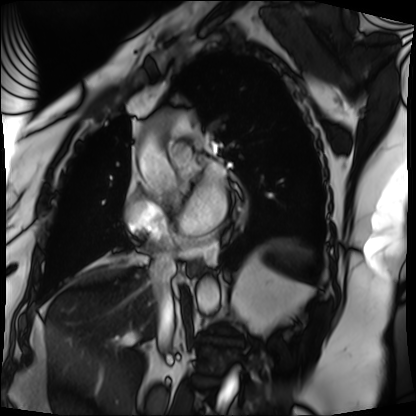
Q: What kind of scan is this?
A: Cardiac MRI.
Subject group: patient.